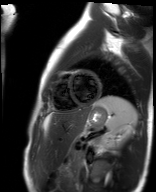
Summary: Cardiac MR image of the myocardium. Subject cohort: healthy volunteer.